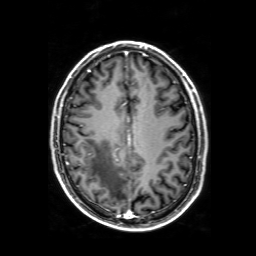
3 Tesla brain MRI.
Series: 3D T1-weighted with SENSE.
Study: ring-enhancing brain masses.